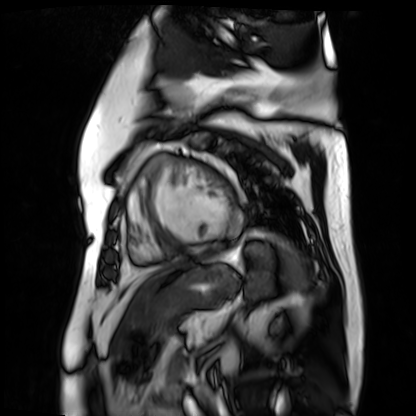
Clinical context: Cardiac MR image of the myocardium. Subject cohort: cardiac patient.